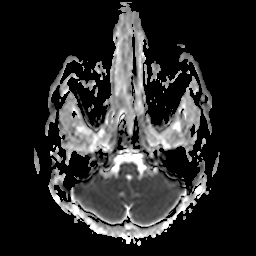
3 Tesla brain MRI. Series: apparent diffusion coefficient (ADC) map. Study: ring-enhancing brain masses.